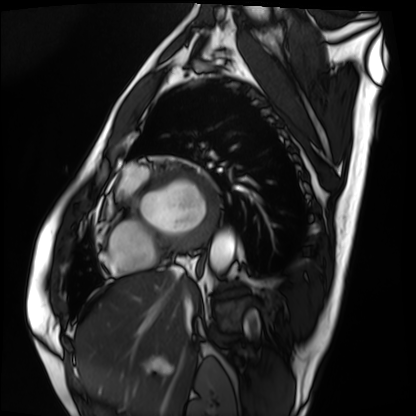
Cardiac MRI. Subject group: patient.